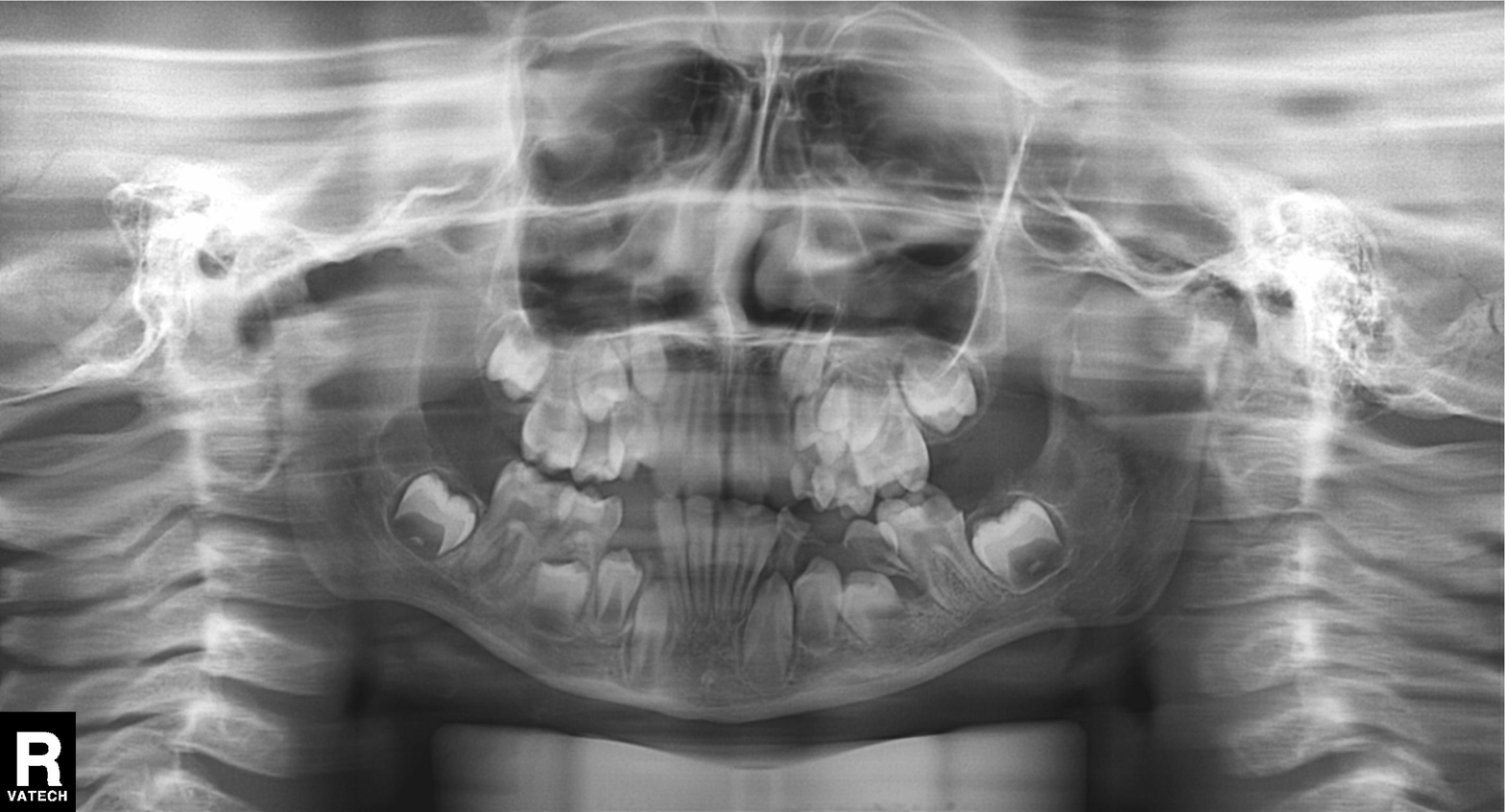
{
  "modality": "panoramic dental radiograph (orthopantomogram)",
  "finding": "alveolar bone loss"
}